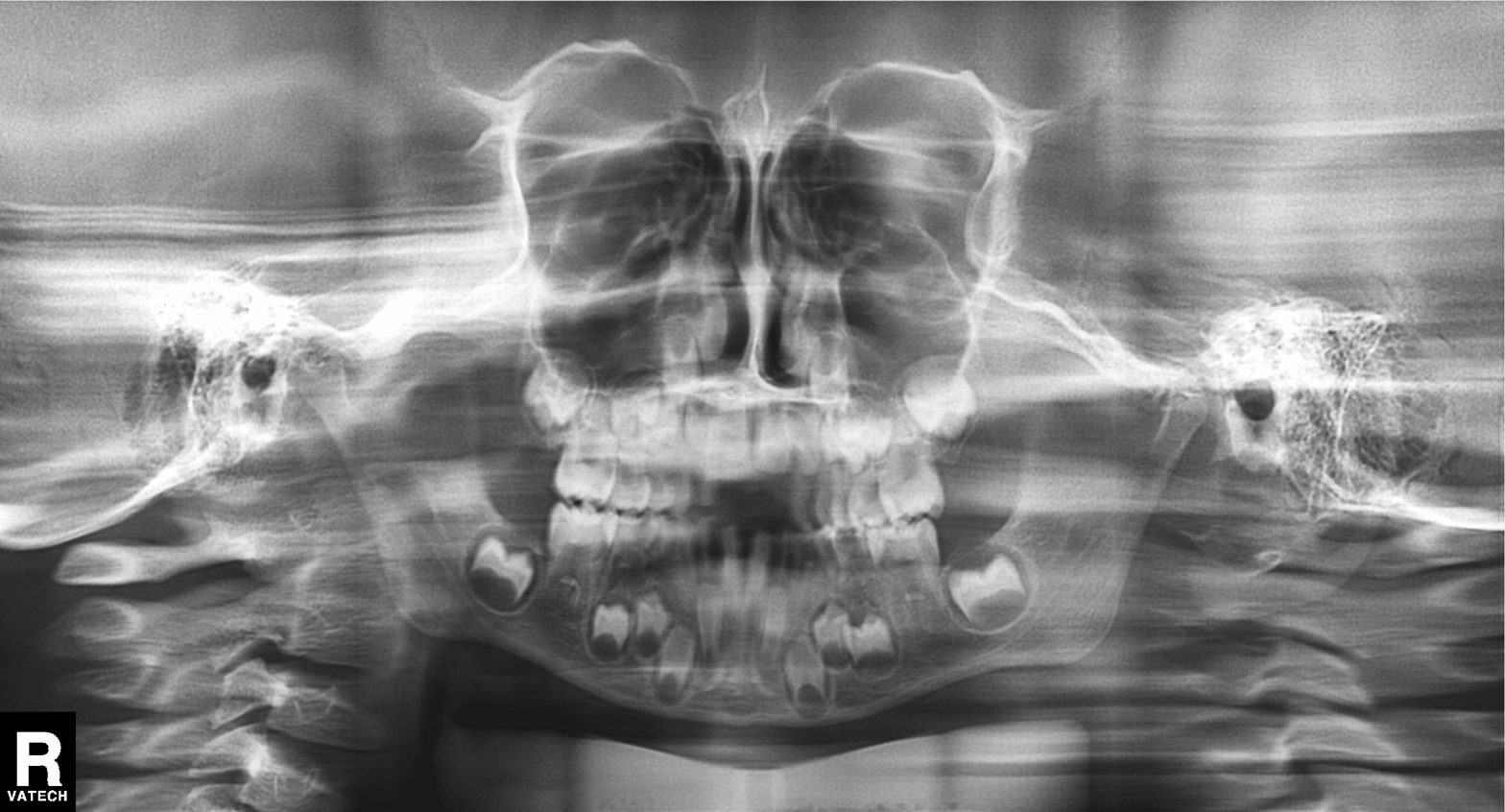
Summary:
Panoramic dental radiograph (orthopantomogram).
Assessment:
Alveolar bone loss.